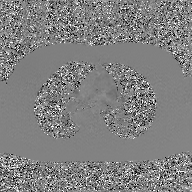
2D phase-contrast cine MRI of the ascending aorta, GAN super-resolution reconstruction.